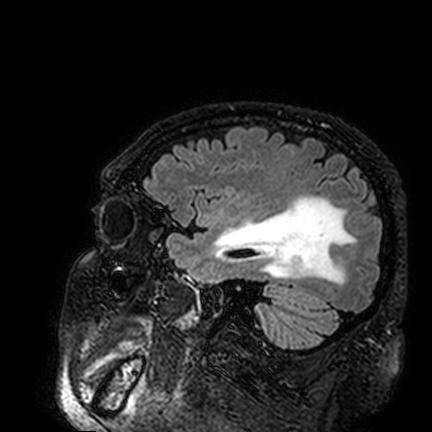
Q: What kind of scan is this?
A: 3 Tesla brain MRI.
Study: ring-enhancing brain masses.